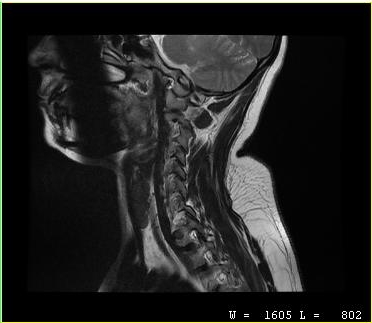
MRI of the cervical spine. Study: cervical spondylosis.